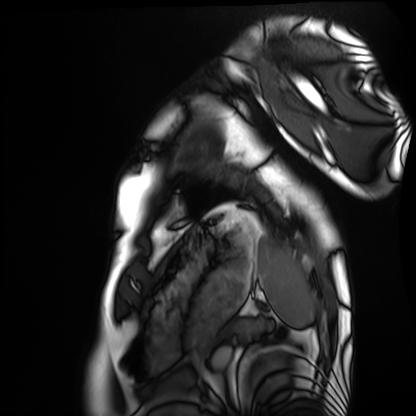
Q: What kind of scan is this?
A: Cardiac MRI.
Subject group: healthy volunteer.